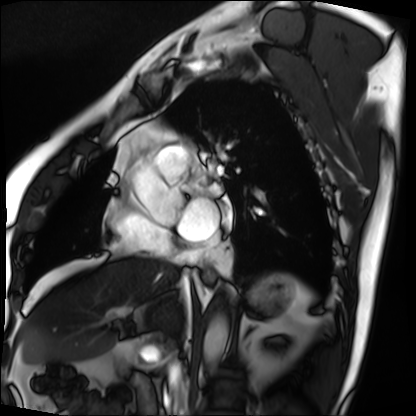
<record>
<modality>cardiac MRI</modality>
<cohort>patient</cohort>
</record>